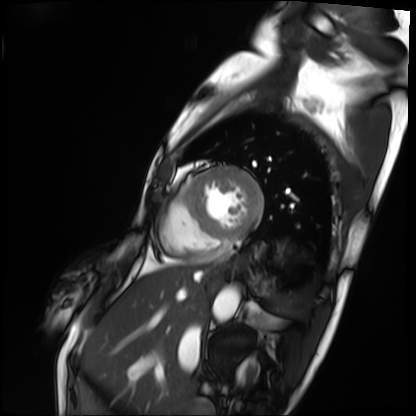
Cardiac MRI.
Subject group: patient.